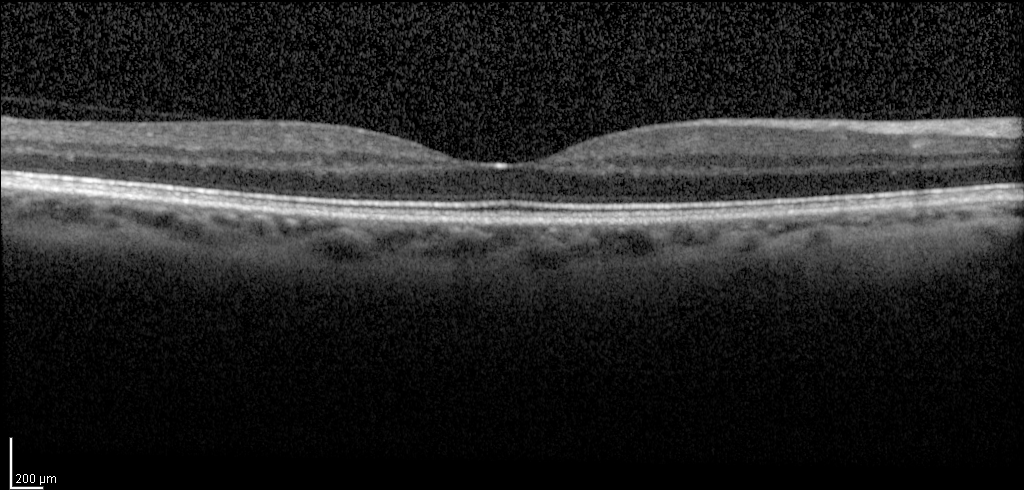
<scan>
  <modality>spectral-domain optical coherence tomography (SD-OCT) of the macula</modality>
  <subject>
    <sex>female</sex>
    <age>49</age>
    <eye>right eye</eye>
  </subject>
  <cohort>diabetic subject</cohort>
  <etdrs_thickness_um>
    <central>271</central>
    <inner_temporal>353</inner_temporal>
    <inner_nasal>376</inner_nasal>
    <inner_superior>369</inner_superior>
    <inner_inferior>367</inner_inferior>
    <outer_temporal>302</outer_temporal>
    <outer_nasal>341</outer_nasal>
    <outer_superior>334</outer_superior>
  </etdrs_thickness_um>
</scan>